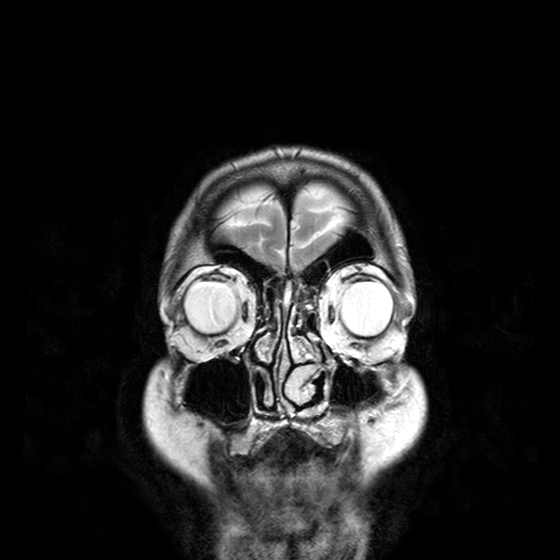
{
  "modality": {
    "type": "brain MRI",
    "field_strength": "3T"
  },
  "series": "T2-weighted turbo spin echo with CLEAR",
  "study_topic": "ring-enhancing brain masses"
}